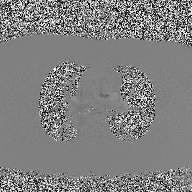
Clinical context: 2D phase-contrast cine MRI of the ascending aorta, high-resolution GRAPPA acquisition.